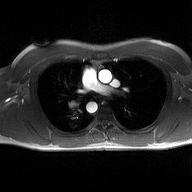
Q: What kind of scan is this?
A: 2D phase-contrast cine MRI of the ascending aorta.